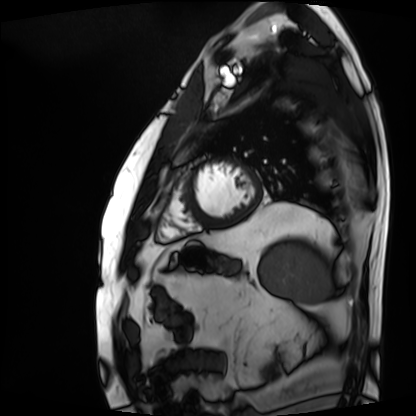
Summary:
Cardiac MRI. Subject group: patient.